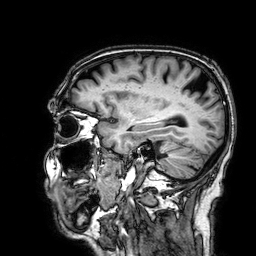
modality = 3 Tesla brain MRI
series = 3D T1-weighted
study = ring-enhancing brain masses